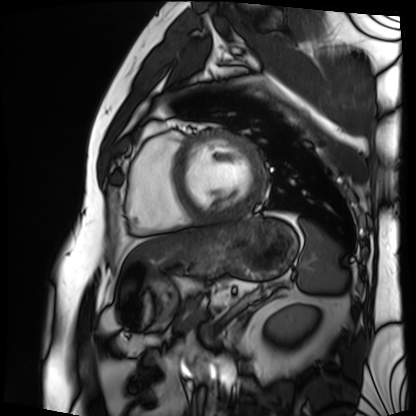
Q: What kind of scan is this?
A: Cardiac MRI.
Subject group: patient.